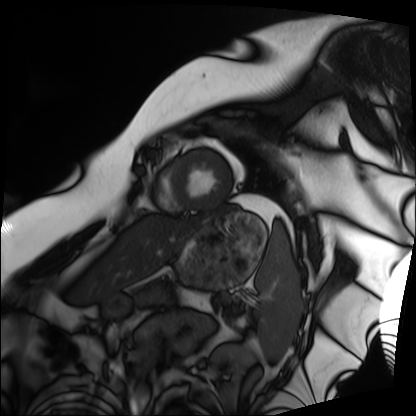
| field | value |
|---|---|
| modality | cardiac MRI |
| subject group | patient |